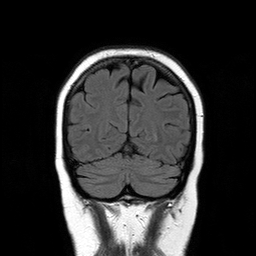
<case>
  <modality>
    <type>brain MRI</type>
    <field_strength>3T</field_strength>
  </modality>
  <series>T2-weighted FLAIR</series>
  <study_topic>ring-enhancing brain masses</study_topic>
</case>